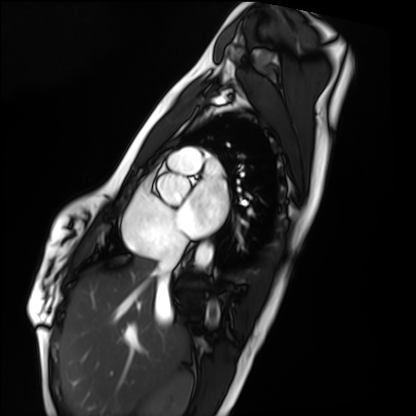
Q: What kind of scan is this?
A: Cardiac MRI.
Subject group: healthy volunteer.